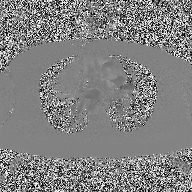
Case summary:
2D phase-contrast cine MRI of the ascending aorta, high-resolution GRAPPA acquisition.